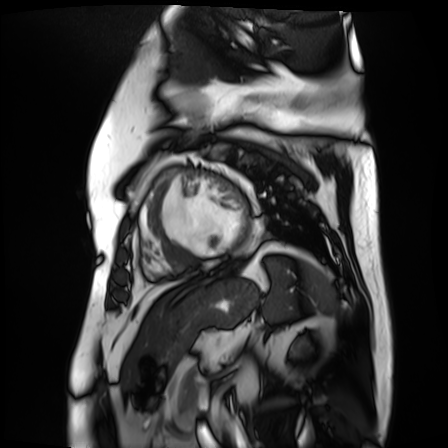
Cardiac MR image of the myocardium.
Subject cohort: cardiac patient.